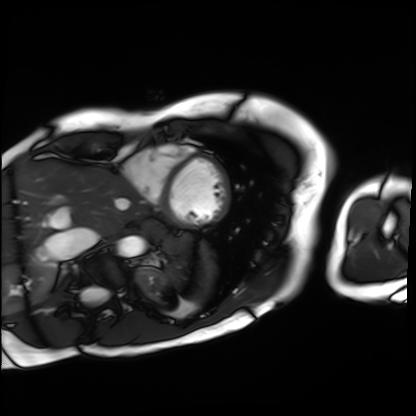
{"modality": "cardiac MRI", "cohort": "patient"}